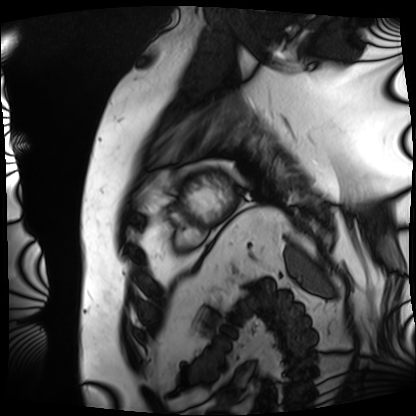
Clinical context: Cardiac MRI. Subject group: patient.